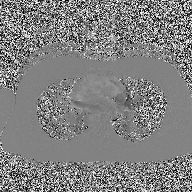
2D phase-contrast cine MRI of the ascending aorta, high-resolution GRAPPA acquisition.